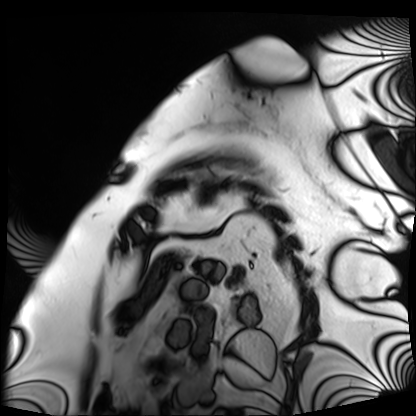
Cardiac MRI.
Subject group: patient.